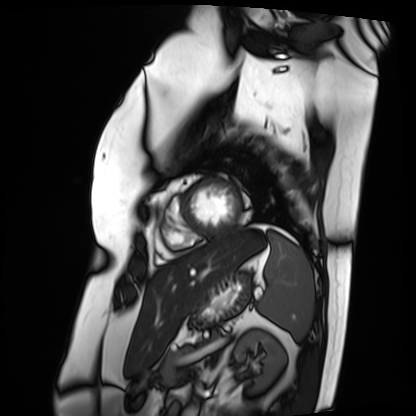
Summary:
Cardiac MRI. Subject group: patient.